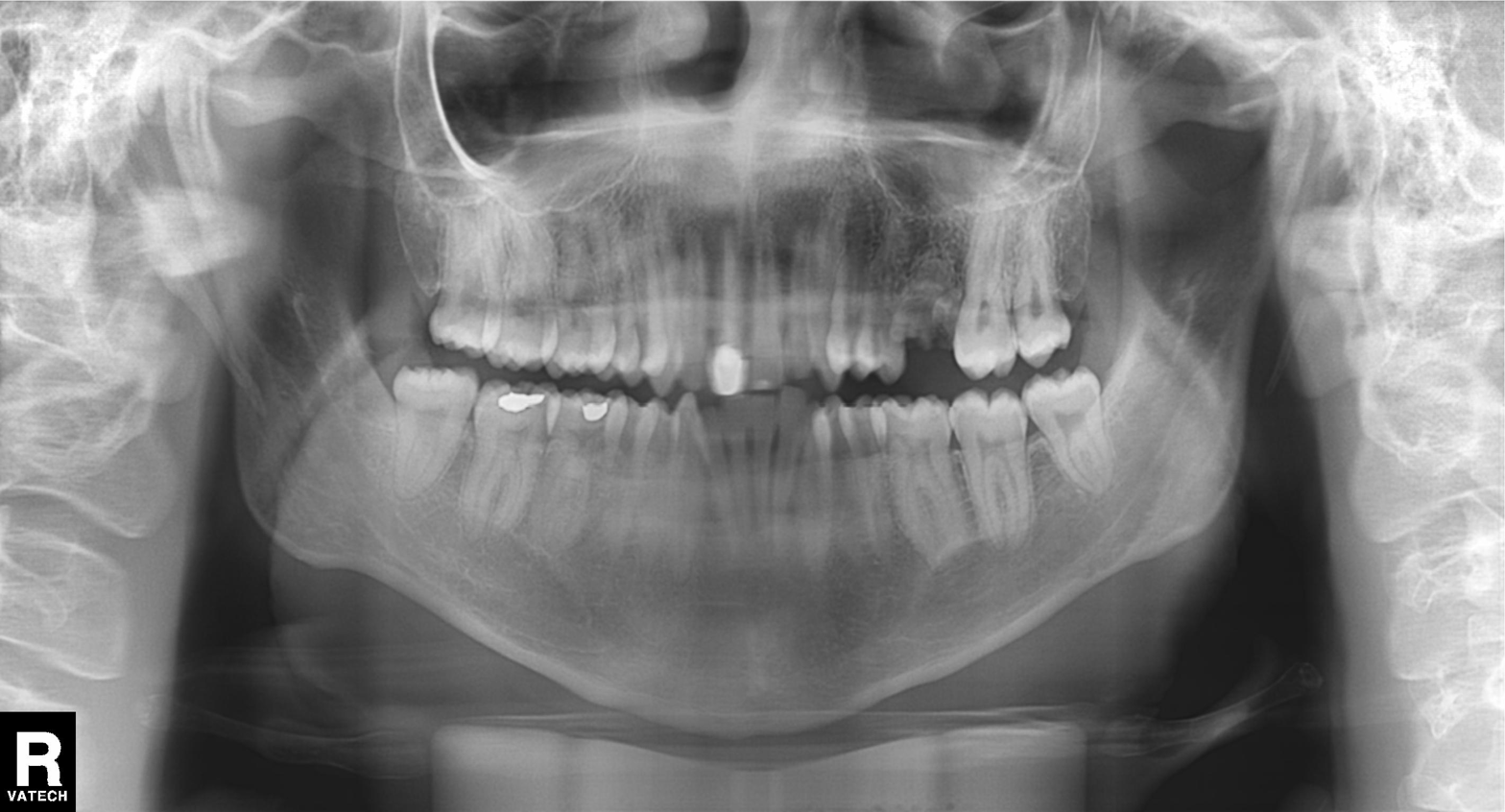
<study>
<modality>panoramic dental radiograph (orthopantomogram)</modality>
<finding>dental caries (cavities)</finding>
</study>